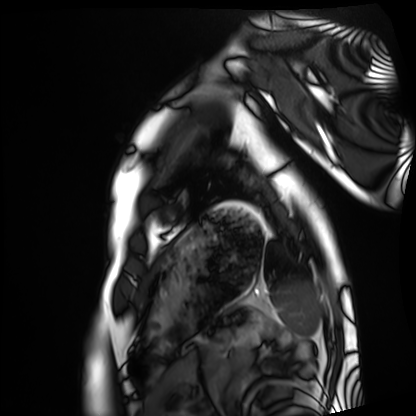
- modality · cardiac MRI
- subject group · healthy volunteer